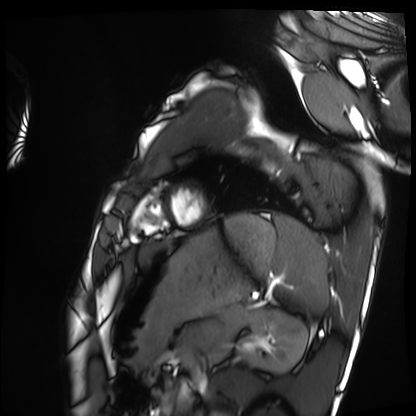
Cardiac MRI. Subject group: healthy volunteer.